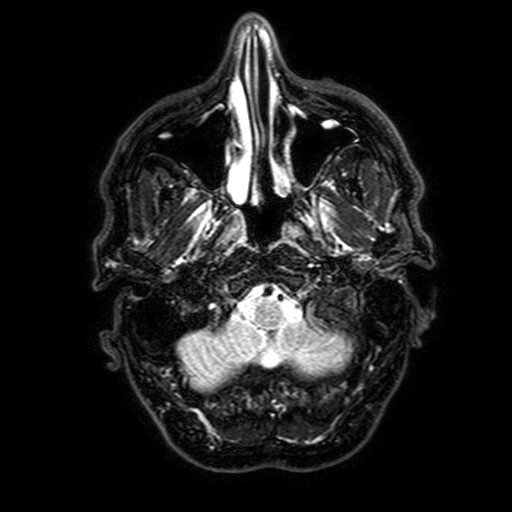
3 Tesla brain MRI.
Series: FLAIR with SPAIR, 3 mm.
Study: ring-enhancing brain masses.